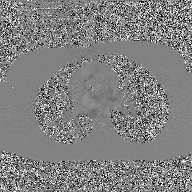
Summary:
2D phase-contrast cine MRI of the ascending aorta, GAN super-resolution reconstruction.